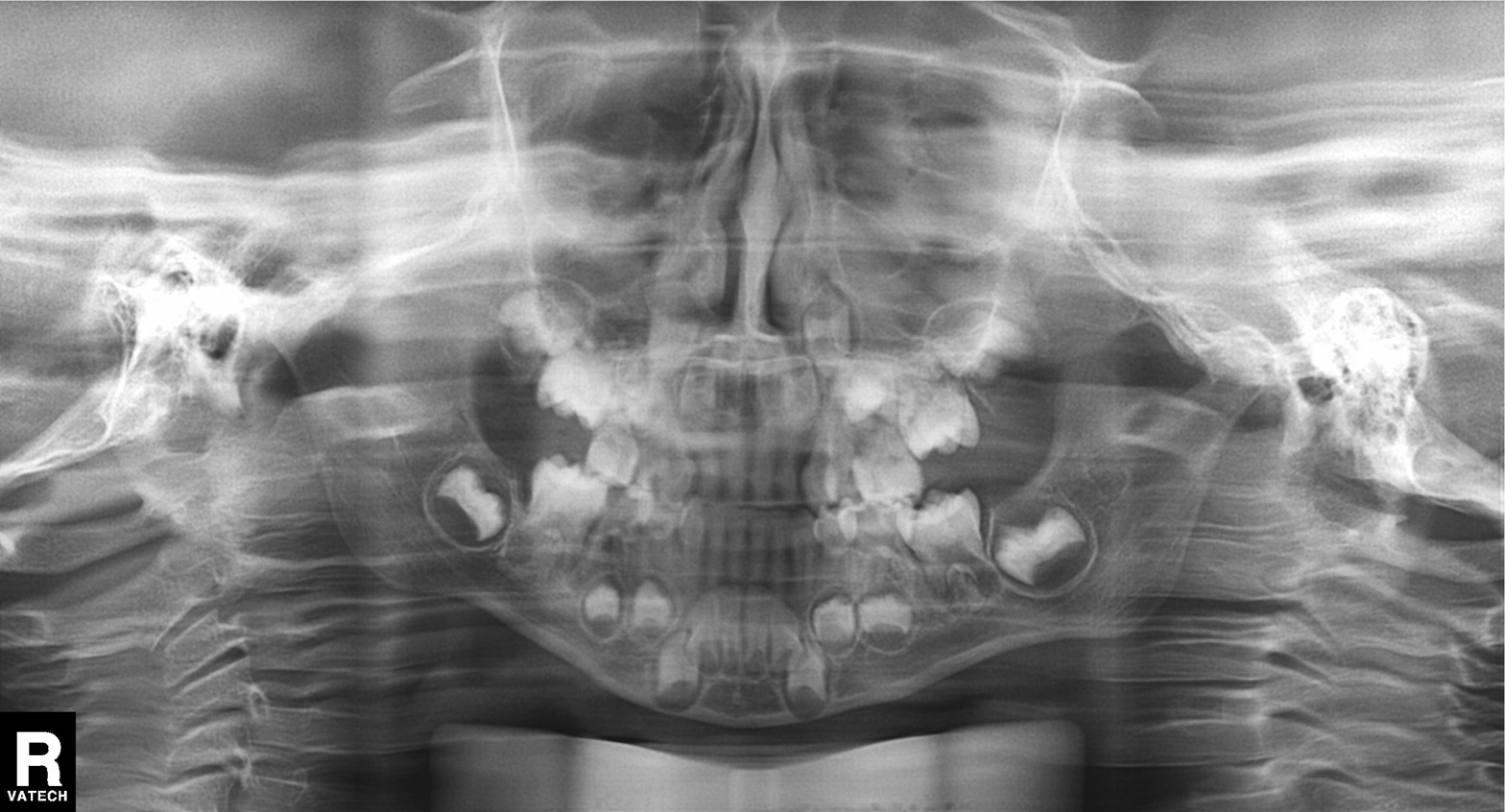
modality: panoramic dental radiograph (orthopantomogram)
finding: alveolar bone loss